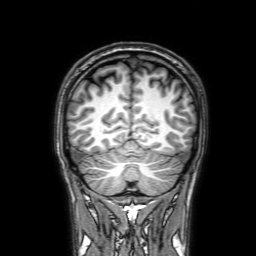
Summary:
3 Tesla brain MRI. Series: 3D T1-weighted with SENSE. Study: ring-enhancing brain masses.